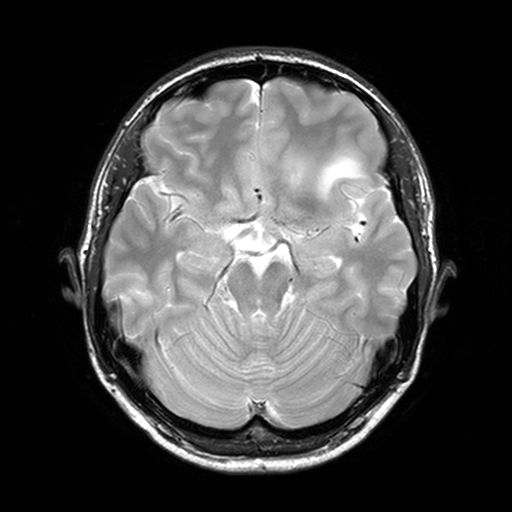
Case summary:
3 Tesla brain MRI. Series: T2-weighted turbo spin echo, 3 mm. Study: ring-enhancing brain masses.